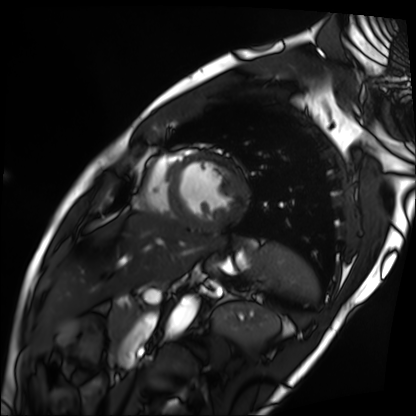
Cardiac MRI. Subject group: patient.